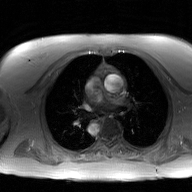
{"modality": {"type": "2D phase-contrast cine MRI", "region": "ascending aorta", "reconstruction": "GAN super-resolution reconstruction"}}